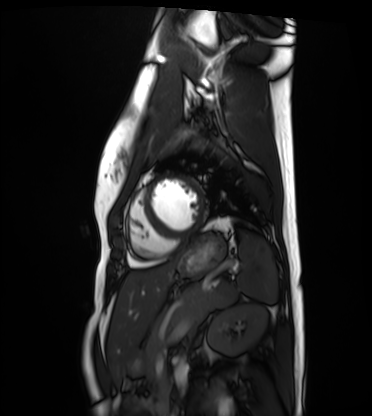
Case summary: Cardiac MRI. Subject group: healthy volunteer.